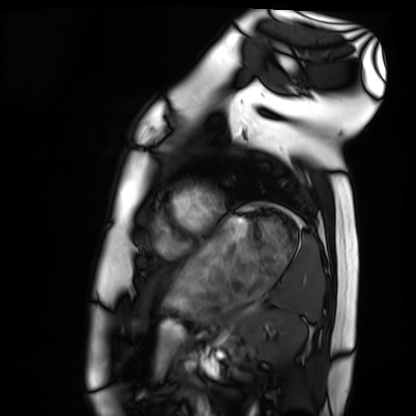
Cardiac MRI. Subject group: healthy volunteer.